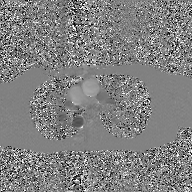
2D phase-contrast cine MRI of the ascending aorta, GAN super-resolution reconstruction.